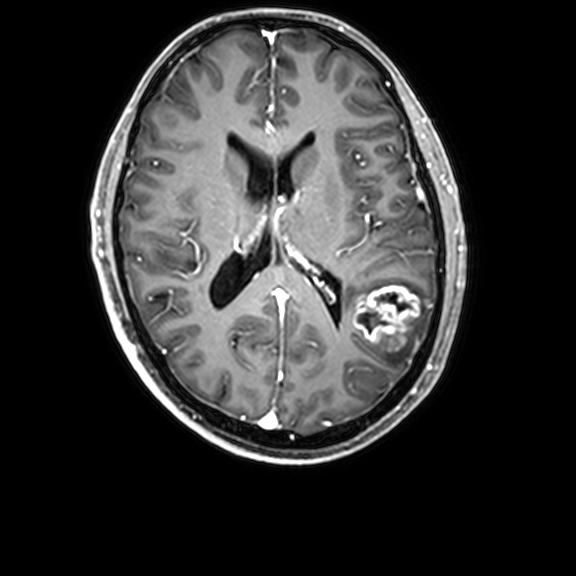
3 Tesla brain MRI. Series: 3D T1-weighted with CLEAR. Study: ring-enhancing brain masses.